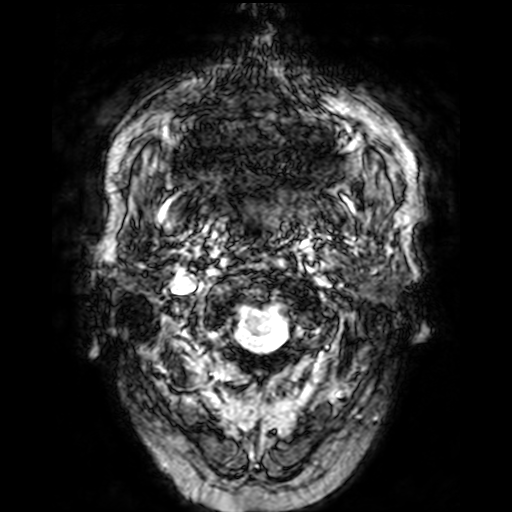
3 Tesla brain MRI.
Study: ring-enhancing brain masses.